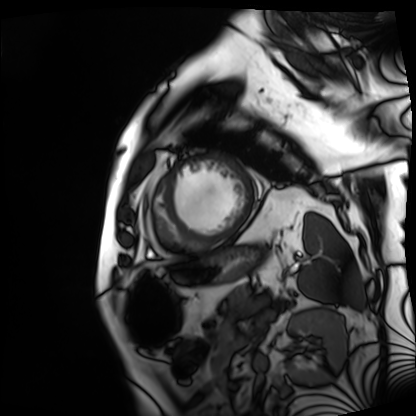
Cardiac MRI.
Subject group: patient.